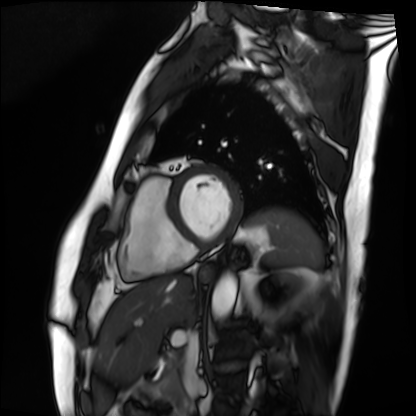
Case:
- modality: cardiac MRI
- subject group: patient